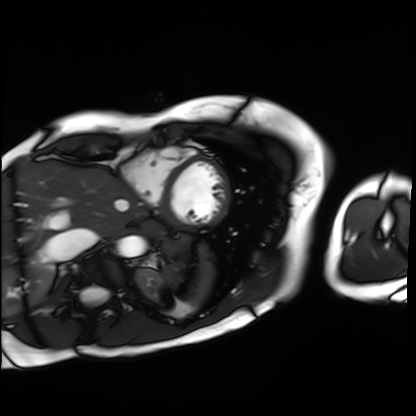
| field | value |
|---|---|
| modality | cardiac MRI |
| subject group | patient |